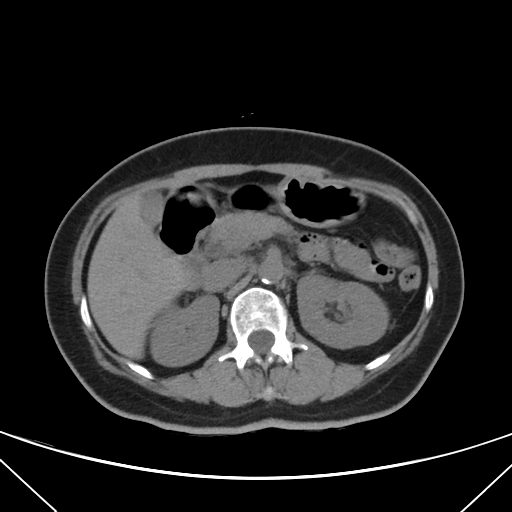
- modality: multiphase abdominal CT, liver, non-contrast phase
- patient: female, age 56